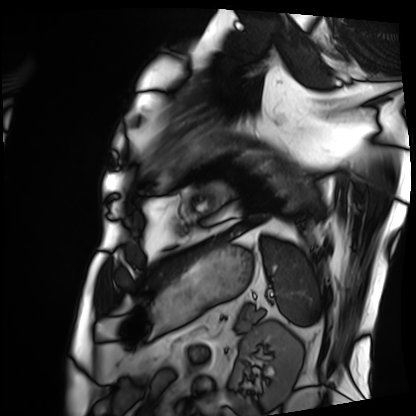
Cardiac MRI.
Subject group: patient.